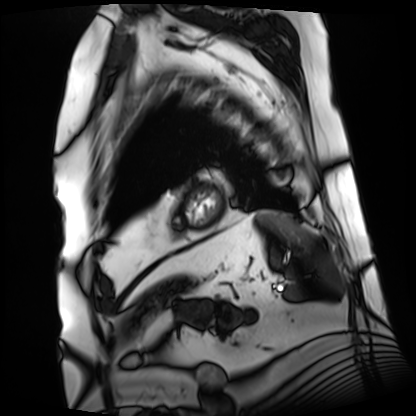
Summary: Cardiac MRI. Subject group: patient.